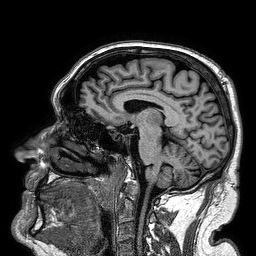
3 Tesla brain MRI. Series: 3D T1-weighted turbo field echo. Study: ring-enhancing brain masses.